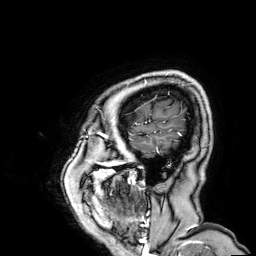
<case>
<modality>
  <type>brain MRI</type>
  <field_strength>3T</field_strength>
</modality>
<series>3D T1-weighted</series>
<study_topic>ring-enhancing brain masses</study_topic>
</case>